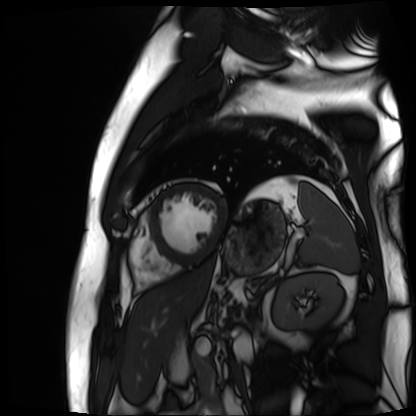
| field | value |
|---|---|
| modality | cardiac MR image of the myocardium |
| subject cohort | cardiac patient |